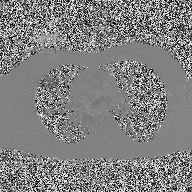
Case:
* modality: 2D phase-contrast cine MRI of the ascending aorta